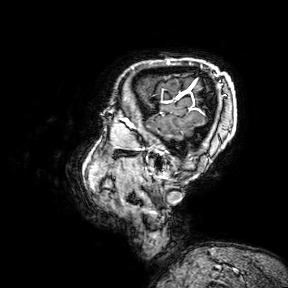
Case summary:
3 Tesla brain MRI. Series: 3D T1-weighted turbo field echo with SENSE. Study: ring-enhancing brain masses.